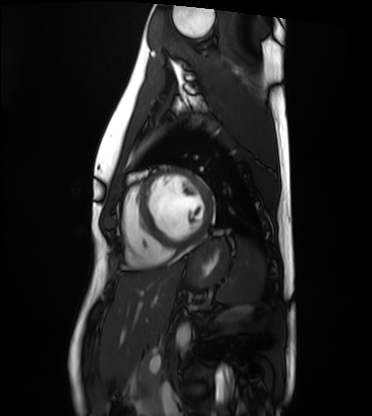
{"modality": "cardiac MRI", "cohort": "healthy volunteer"}